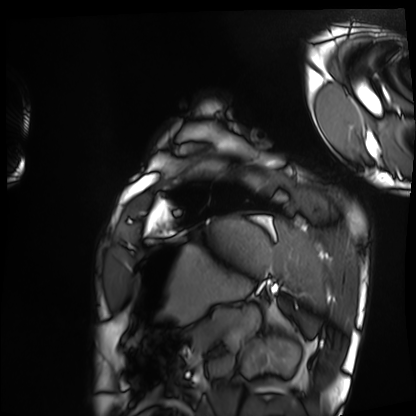
Cardiac MRI.
Subject group: healthy volunteer.